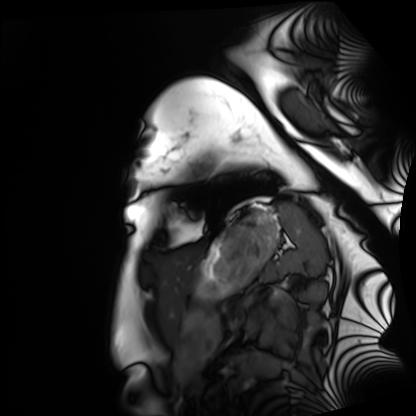
| field | value |
|---|---|
| modality | cardiac MRI |
| subject group | healthy volunteer |